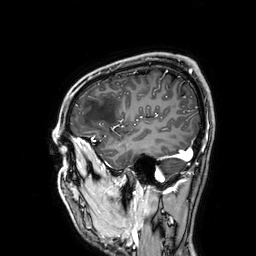
  modality:
    type: brain MRI
    field_strength: 3T
  series: 3D T1-weighted
  study_topic: ring-enhancing brain masses